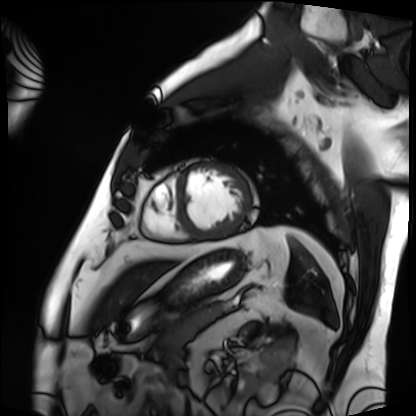
Cardiac MRI. Subject group: patient.